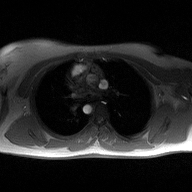
modality — 2D phase-contrast cine MRI of the ascending aorta